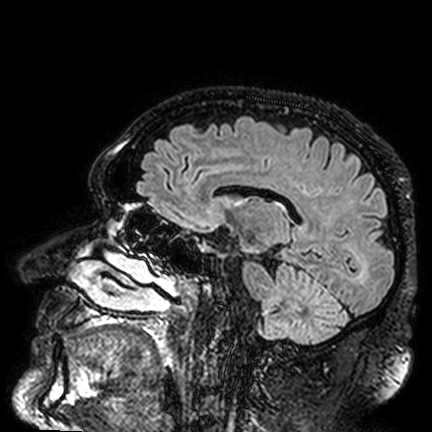
Q: What kind of scan is this?
A: 3 Tesla brain MRI.
Q: Series?
A: FLAIR VISTA.
Study: ring-enhancing brain masses.